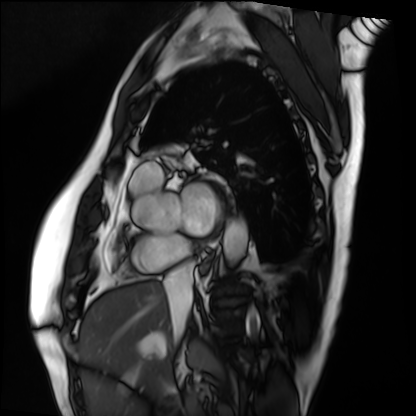
Cardiac MRI.
Subject group: patient.